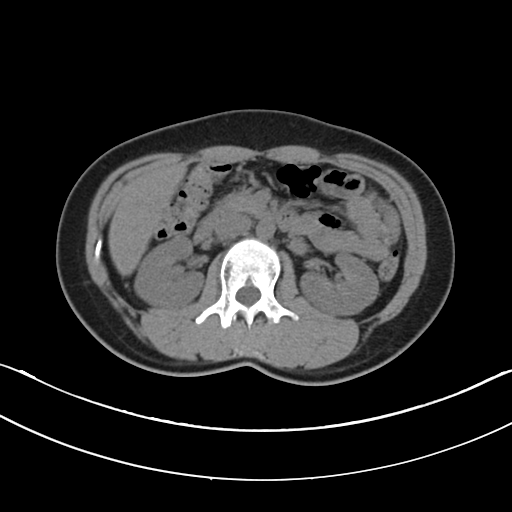
Multiphase abdominal CT, liver, non-contrast phase. Patient: female, age 29.